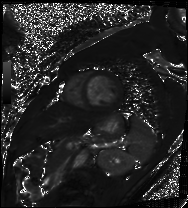
<scan>
<modality>cardiac MRI</modality>
<cohort>patient</cohort>
</scan>